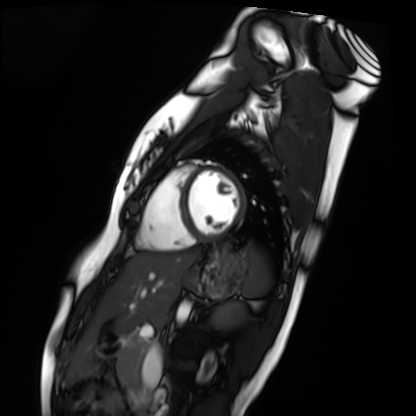
{"modality": "cardiac MRI", "cohort": "healthy volunteer"}